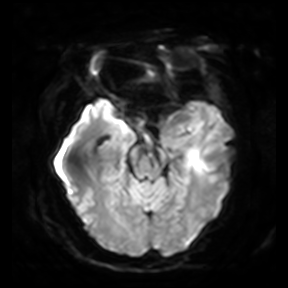
Case summary: 3 Tesla brain MRI. Series: diffusion-weighted imaging. Study: ring-enhancing brain masses.